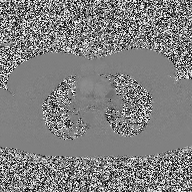
Q: What kind of scan is this?
A: 2D phase-contrast cine MRI of the ascending aorta.